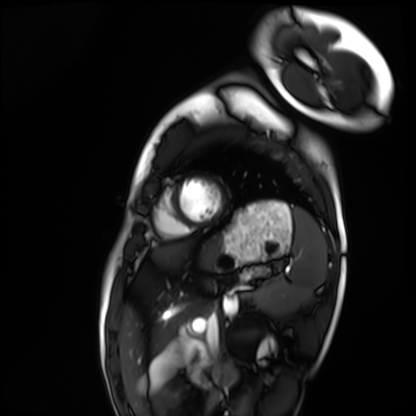
modality: cardiac MRI
cohort: healthy volunteer